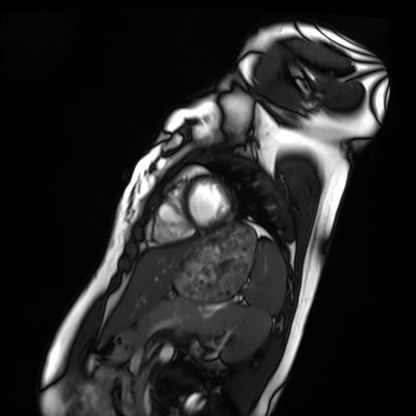
Case:
- modality — cardiac MRI
- subject group — healthy volunteer